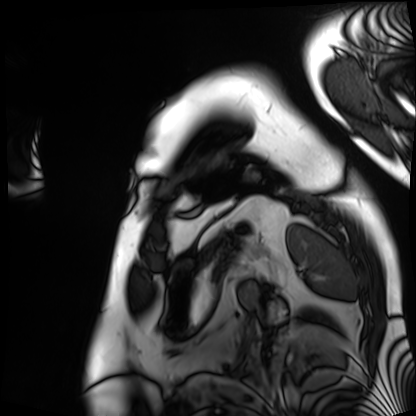
Cardiac MRI.
Subject group: patient.